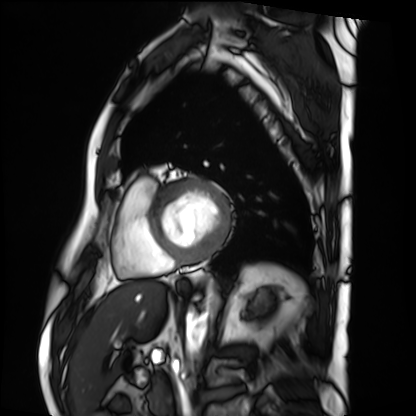
Cardiac MRI.
Subject group: patient.